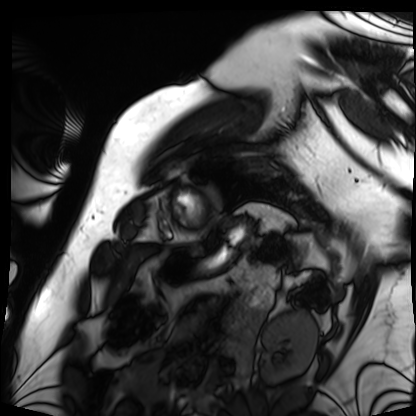
Cardiac MRI.
Subject group: patient.